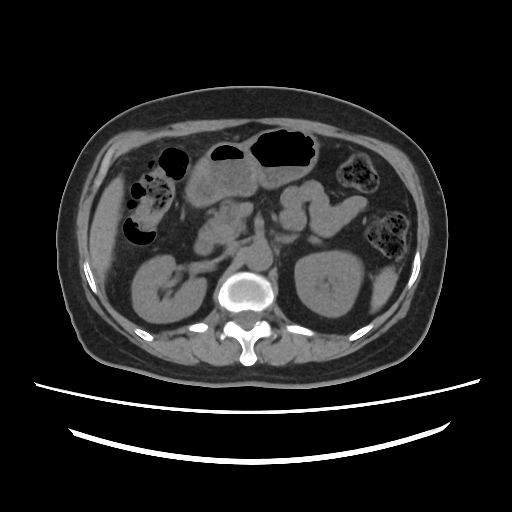
| field | value |
|---|---|
| modality | multiphase abdominal CT, liver, non-contrast phase |
| patient | female, age 63 |